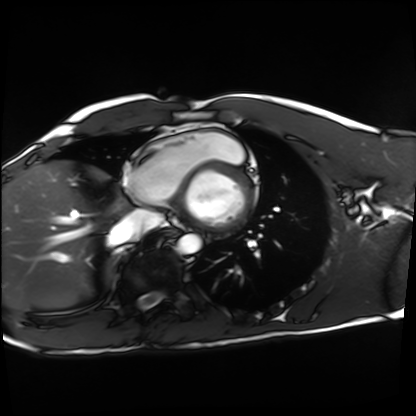
| field | value |
|---|---|
| modality | cardiac MRI |
| subject group | healthy volunteer |